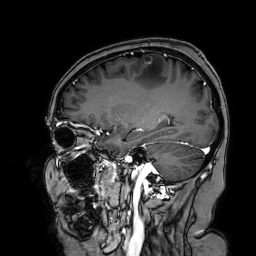
3 Tesla brain MRI. Series: 3D T1-weighted turbo field echo with SENSE. Study: ring-enhancing brain masses.